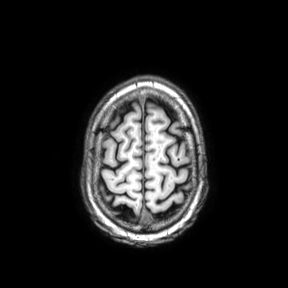
Q: What kind of scan is this?
A: 3 Tesla brain MRI.
Q: Series?
A: Axial.
Study: ring-enhancing brain masses.